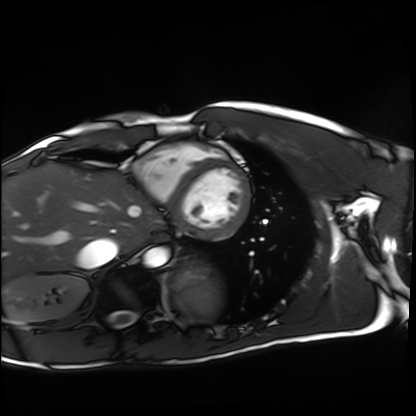
{
  "modality": "cardiac MRI",
  "cohort": "healthy volunteer"
}